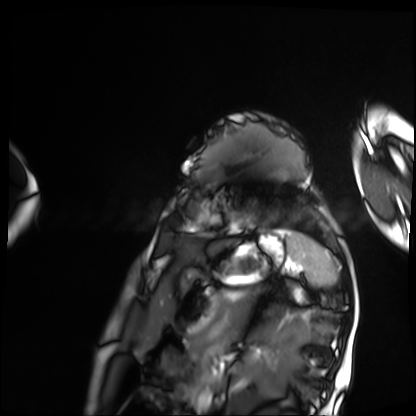
Cardiac MRI.
Subject group: patient.